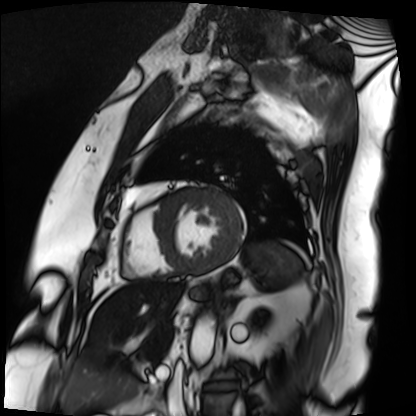
Cardiac MRI.
Subject group: patient.